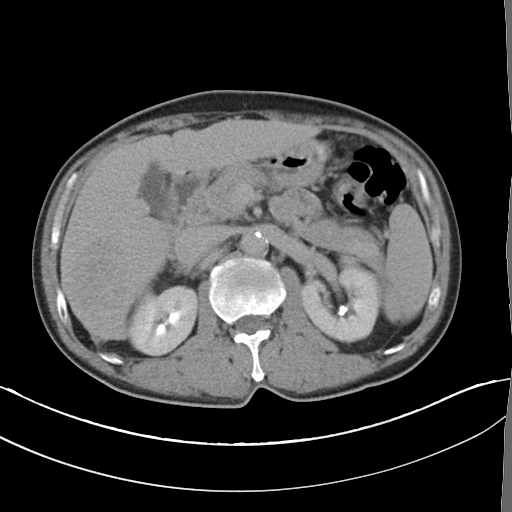
Multiphase abdominal CT, liver, delayed phase.
Patient: male, age 52.